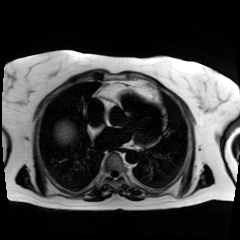
Chemical-shift-encoded cardiac MRI.